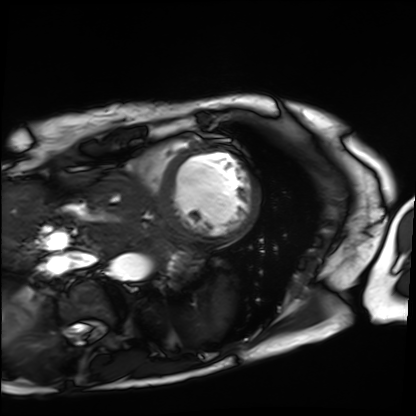
Cardiac MRI.
Subject group: patient.